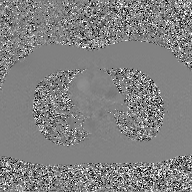
Case summary: 2D phase-contrast cine MRI of the ascending aorta, GAN super-resolution reconstruction.